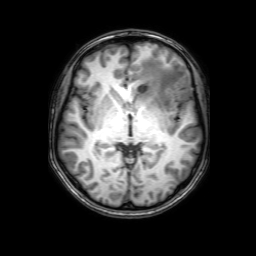
3 Tesla brain MRI. Series: 3D T1-weighted with SENSE. Study: ring-enhancing brain masses.